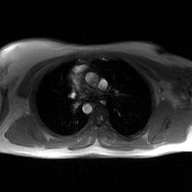
Summary:
2D phase-contrast cine MRI of the ascending aorta, GAN super-resolution reconstruction.